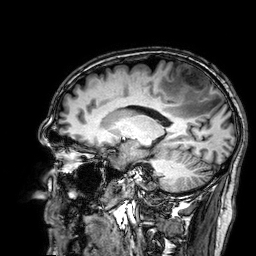
Q: What kind of scan is this?
A: 3 Tesla brain MRI.
Q: Series?
A: 3D T1-weighted.
Study: ring-enhancing brain masses.